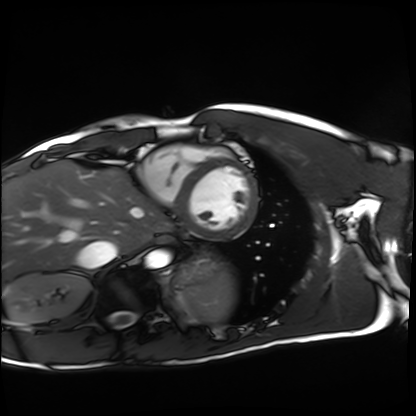
Case:
* modality — cardiac MRI
* subject group — healthy volunteer